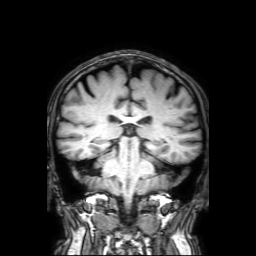
modality:
  type: brain MRI
  field_strength: 3T
series: 3D T1-weighted with SENSE
study_topic: ring-enhancing brain masses